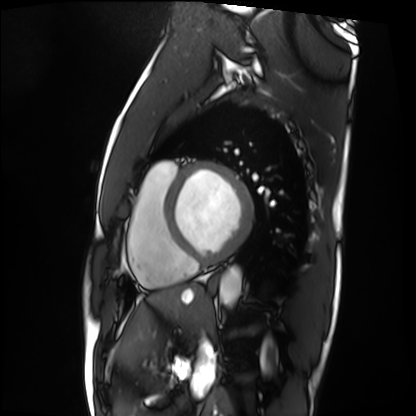
modality: cardiac MRI; subject group: patient.